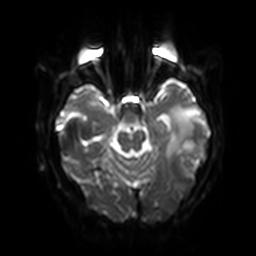
modality — 3 Tesla brain MRI
series — diffusion-weighted imaging with SENSE (WIP)
study — ring-enhancing brain masses